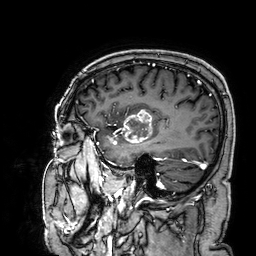
Summary:
3 Tesla brain MRI. Series: 3D T1-weighted. Study: ring-enhancing brain masses.